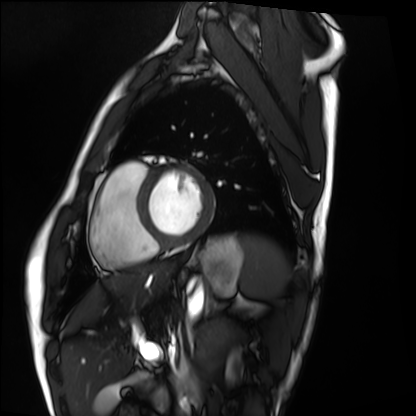
modality = cardiac MRI | subject group = healthy volunteer.